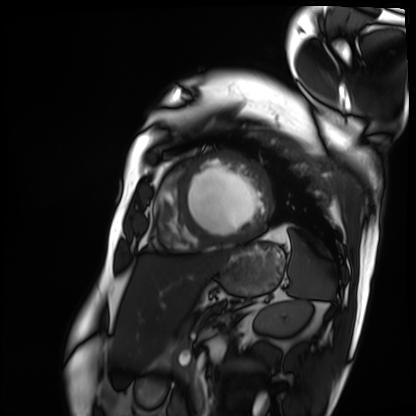
Cardiac MRI.
Subject group: patient.